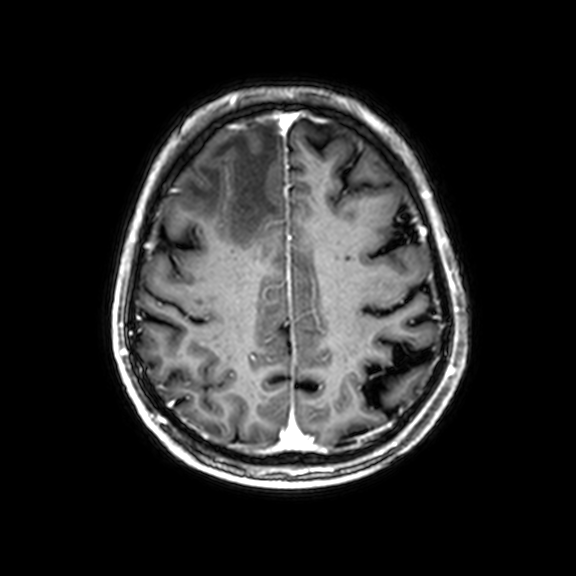
Summary: 3 Tesla brain MRI. Study: ring-enhancing brain masses.